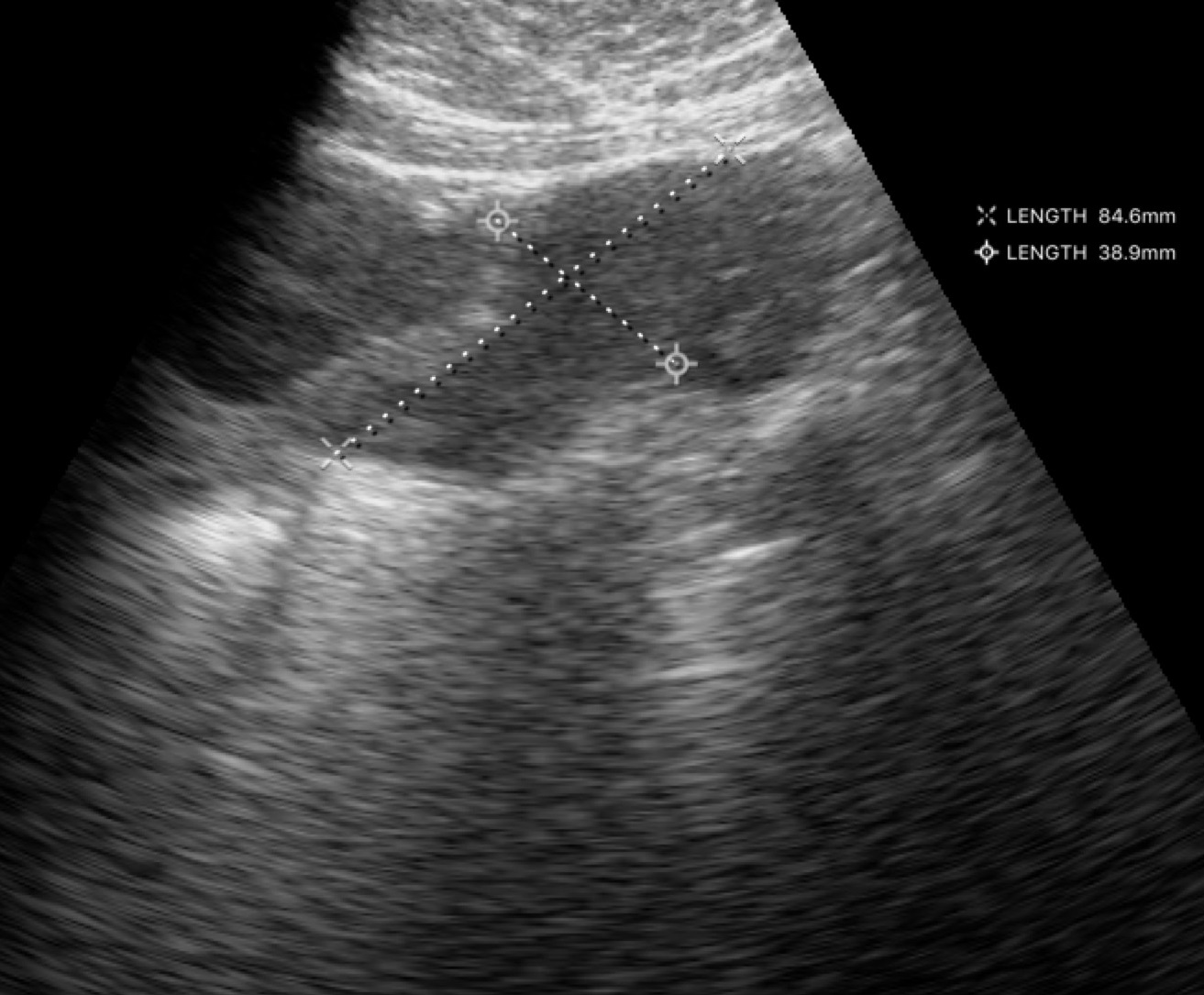
modality = genitourinary ultrasound.